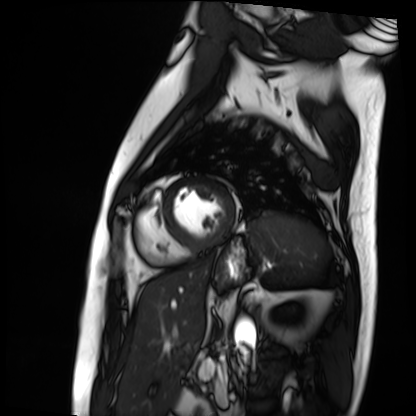
Cardiac MRI.
Subject group: patient.